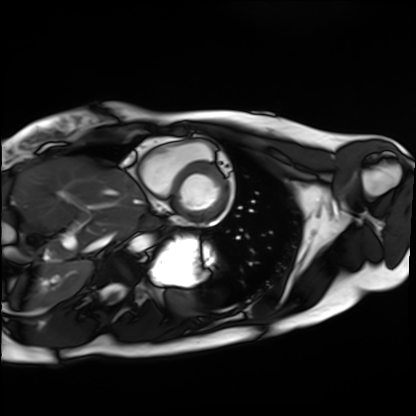
Clinical context:
Cardiac MRI. Subject group: healthy volunteer.